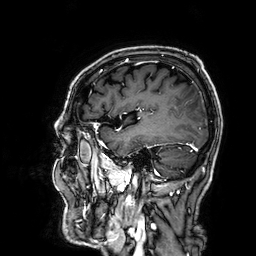
Clinical context:
3 Tesla brain MRI. Series: 3D T1-weighted. Study: ring-enhancing brain masses.